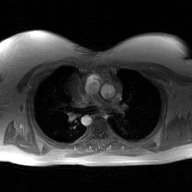
modality: 2D phase-contrast cine MRI of the ascending aorta, GAN super-resolution reconstruction.